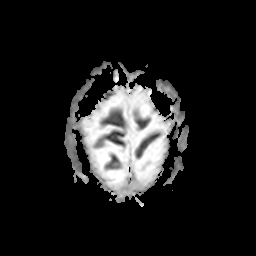
  modality:
    type: brain MRI
    field_strength: 3T
  series: apparent diffusion coefficient (ADC) map
  study_topic: ring-enhancing brain masses